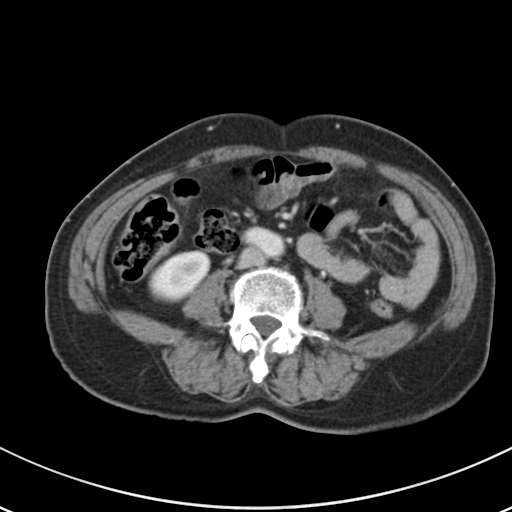
Summary: Multiphase abdominal CT, liver, portal venous phase. Patient: female, age 61.